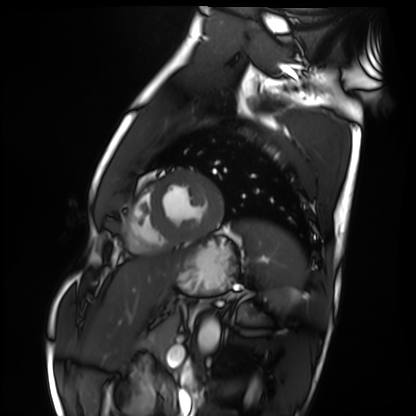
Summary: Cardiac MRI. Subject group: healthy volunteer.